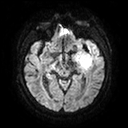
modality = 3 Tesla brain MRI
series = diffusion tensor imaging (medium iso)
study = ring-enhancing brain masses